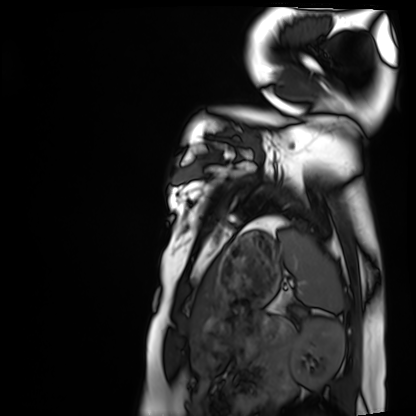
{"modality": "cardiac MRI", "cohort": "healthy volunteer"}